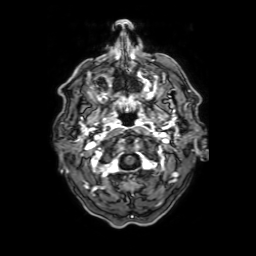
3 Tesla brain MRI. Series: axial T1-weighted fusion image. Study: ring-enhancing brain masses.